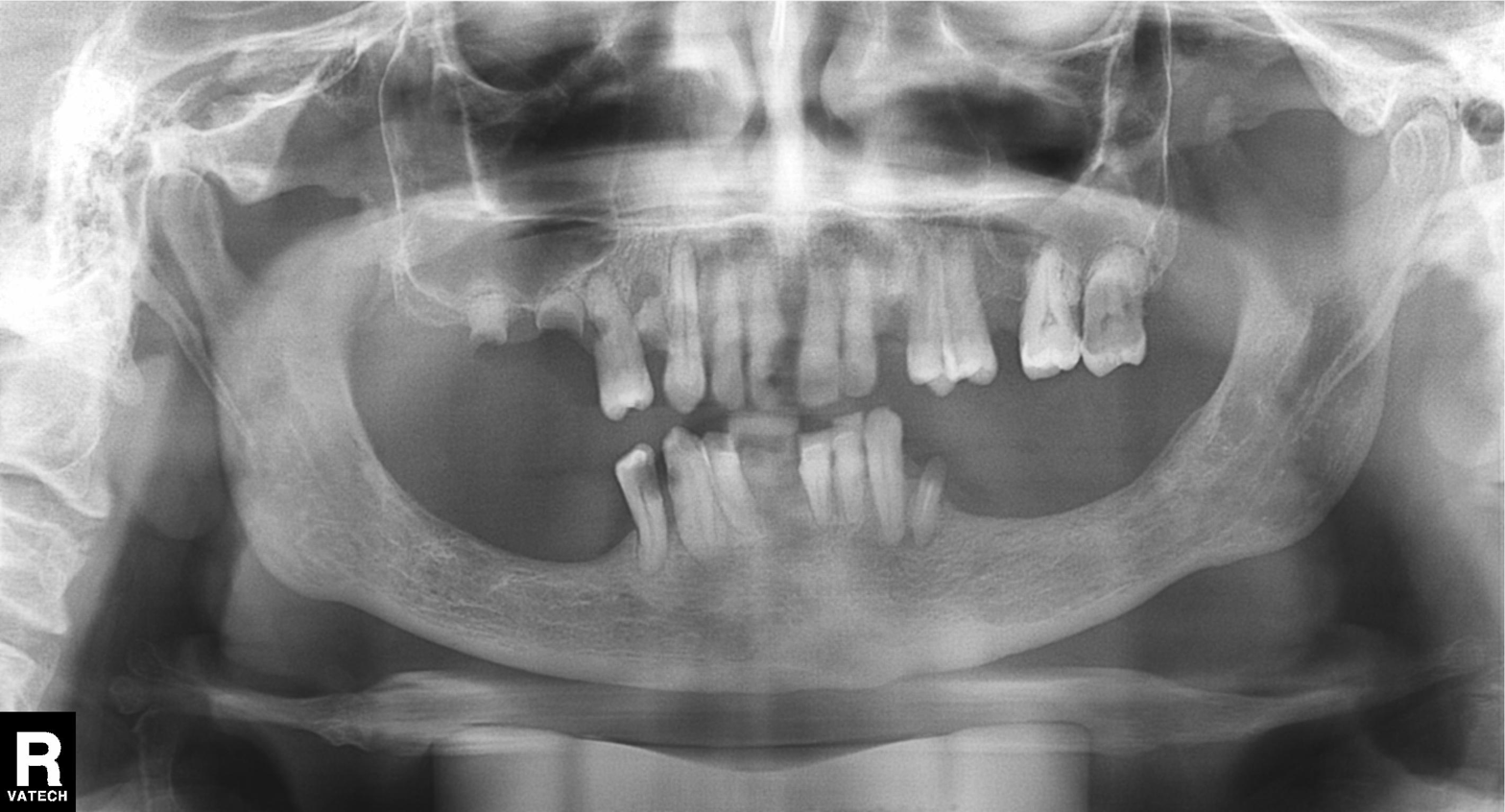
modality: panoramic dental radiograph (orthopantomogram)
finding: alveolar bone loss